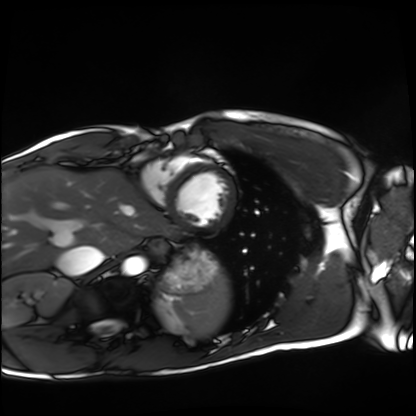
Cardiac MRI. Subject group: healthy volunteer.